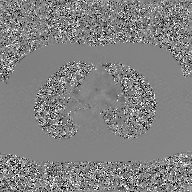
2D phase-contrast cine MRI of the ascending aorta, GAN super-resolution reconstruction.